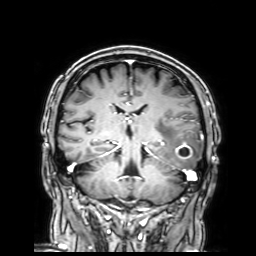
<scan>
<modality>
  <type>brain MRI</type>
  <field_strength>3T</field_strength>
</modality>
<series>3D T1-weighted with SENSE</series>
<study_topic>ring-enhancing brain masses</study_topic>
</scan>